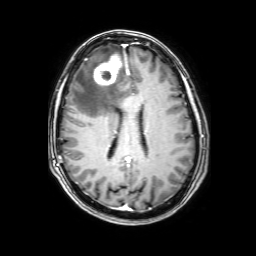
3 Tesla brain MRI. Series: 3D T1-weighted with SENSE. Study: ring-enhancing brain masses.